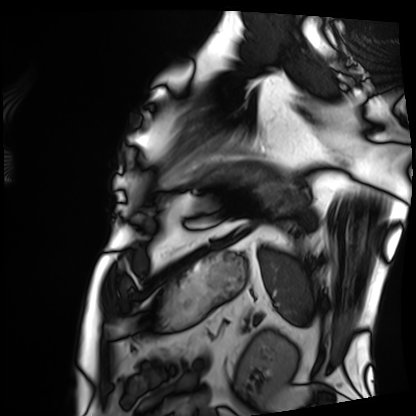
modality: cardiac MRI
subject group: patient